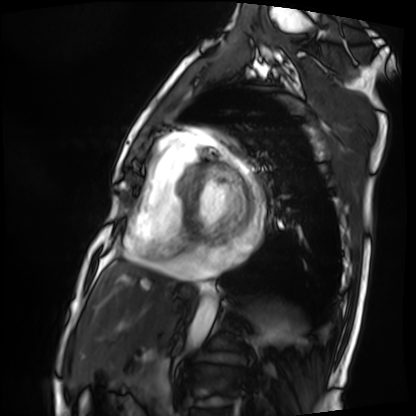
Q: What kind of scan is this?
A: Cardiac MRI.
Subject group: patient.